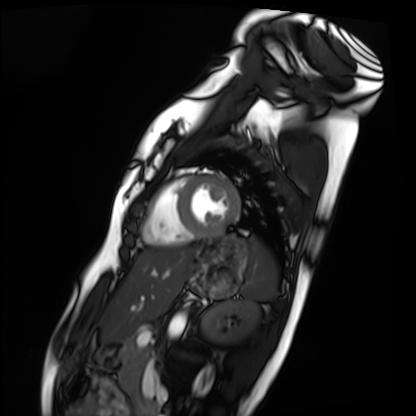
– modality — cardiac MRI
– subject group — healthy volunteer